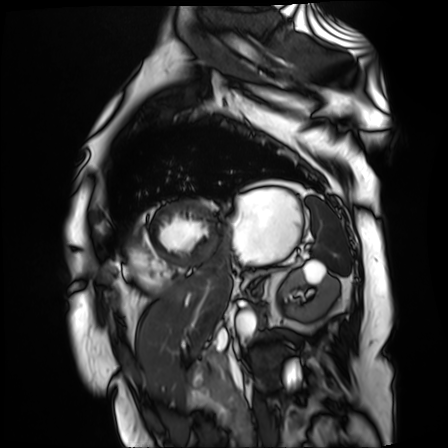
Clinical context:
Cardiac MR image of the myocardium. Subject cohort: cardiac patient.